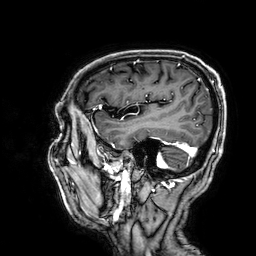
Summary: 3 Tesla brain MRI. Series: 3D T1-weighted. Study: ring-enhancing brain masses.